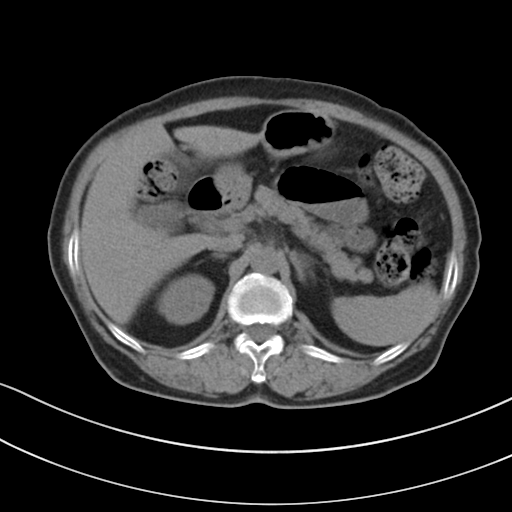
Case:
* modality: multiphase abdominal CT, liver, non-contrast phase
* patient: female, age 72